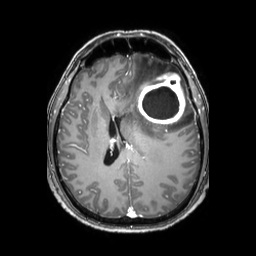
3 Tesla brain MRI. Series: 3D T1-weighted TFE with SENSE. Study: ring-enhancing brain masses.